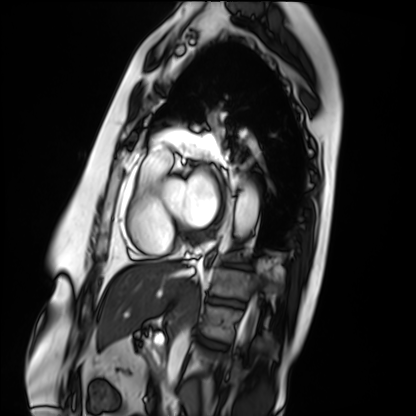
– modality — cardiac MRI
– subject group — patient